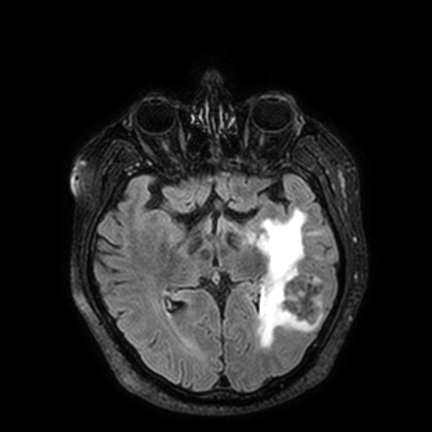
3 Tesla brain MRI. Series: FLAIR VISTA with SENSE. Study: ring-enhancing brain masses.